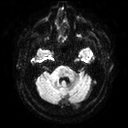
3 Tesla brain MRI. Series: diffusion tensor imaging (medium iso). Study: ring-enhancing brain masses.